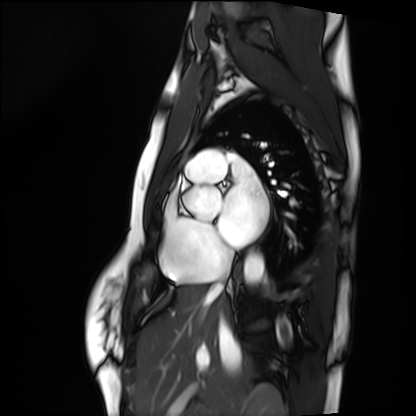
Clinical context:
Cardiac MRI. Subject group: healthy volunteer.